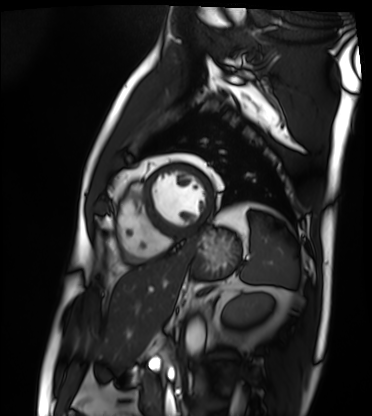
• modality: cardiac MRI
• subject group: patient